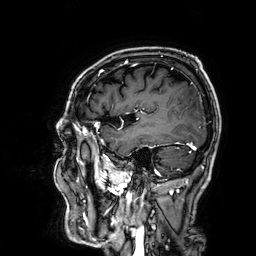
3 Tesla brain MRI.
Series: 3D T1-weighted.
Study: ring-enhancing brain masses.